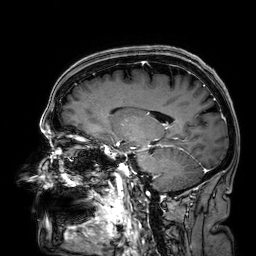
Q: What kind of scan is this?
A: 3 Tesla brain MRI.
Q: Series?
A: 3D T1-weighted.
Study: ring-enhancing brain masses.